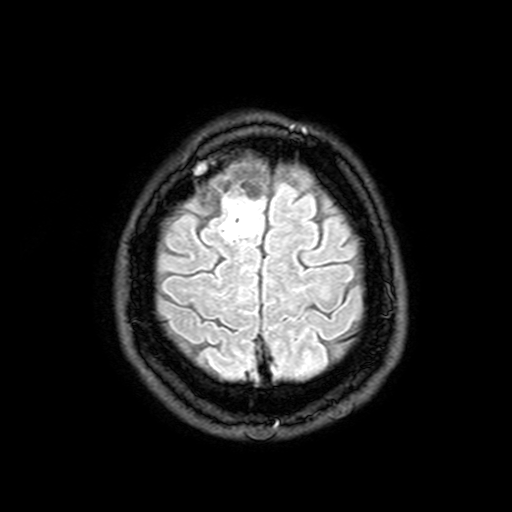
  modality:
    type: brain MRI
    field_strength: 3T
  series: FLAIR with SPAIR, 3 mm
  study_topic: ring-enhancing brain masses